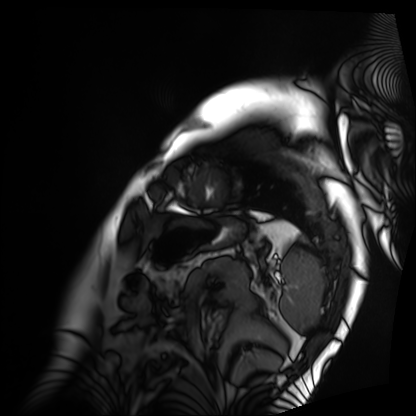
Q: What kind of scan is this?
A: Cardiac MRI.
Subject group: patient.